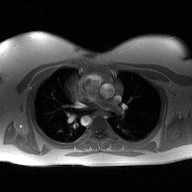
Case:
• modality · 2D phase-contrast cine MRI of the ascending aorta